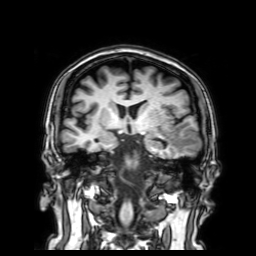
3 Tesla brain MRI.
Series: 3D T1-weighted with SENSE.
Study: ring-enhancing brain masses.